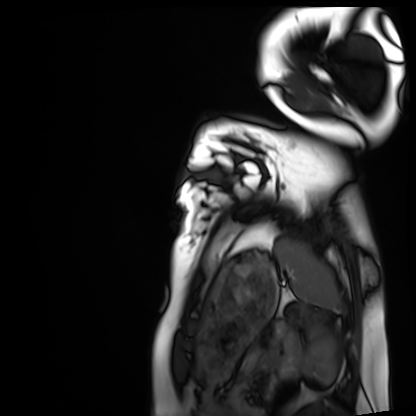
<case>
<modality>cardiac MRI</modality>
<cohort>healthy volunteer</cohort>
</case>